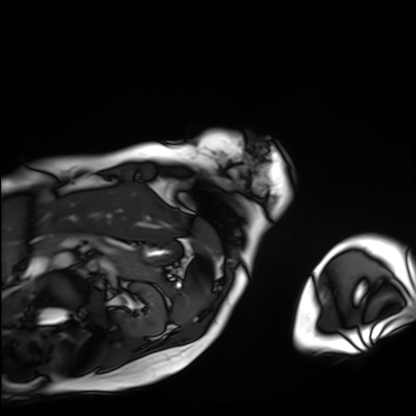
modality: cardiac MRI
subject group: patient